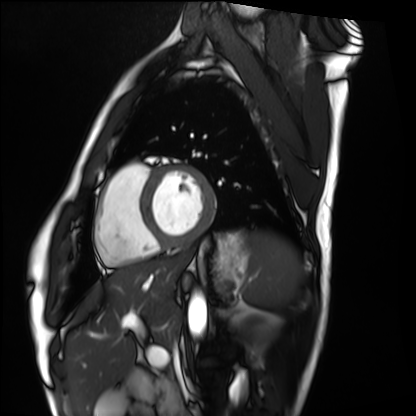
Case:
* modality · cardiac MRI
* subject group · healthy volunteer